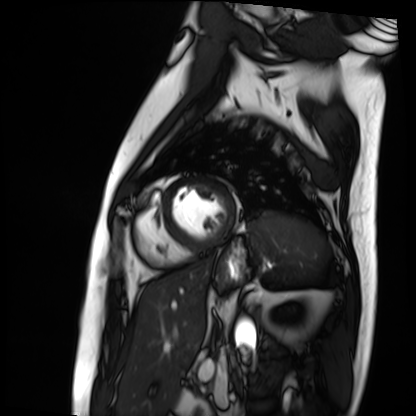
| field | value |
|---|---|
| modality | cardiac MRI |
| subject group | patient |